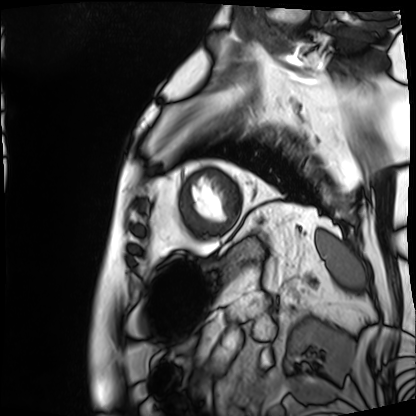
Clinical context: Cardiac MRI. Subject group: patient.